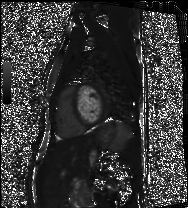
Clinical context: Cardiac MRI. Subject group: healthy volunteer.